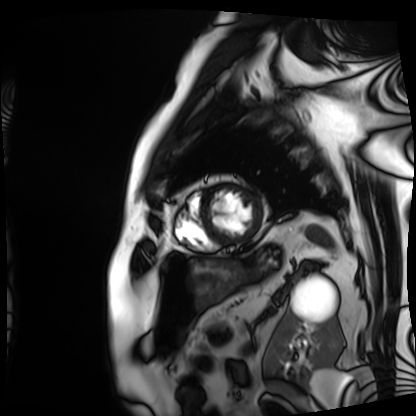
| field | value |
|---|---|
| modality | cardiac MRI |
| subject group | patient |